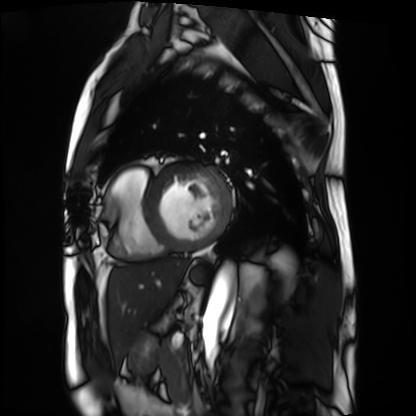
modality: cardiac MRI, subject group: patient.